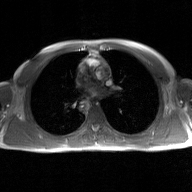
modality: 2D phase-contrast cine MRI of the ascending aorta, GAN super-resolution reconstruction